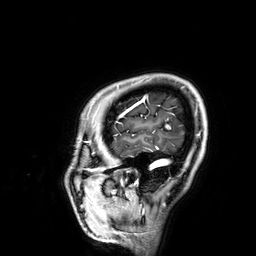
{"modality": {"type": "brain MRI", "field_strength": "3T"}, "series": "3D T1-weighted", "study_topic": "ring-enhancing brain masses"}